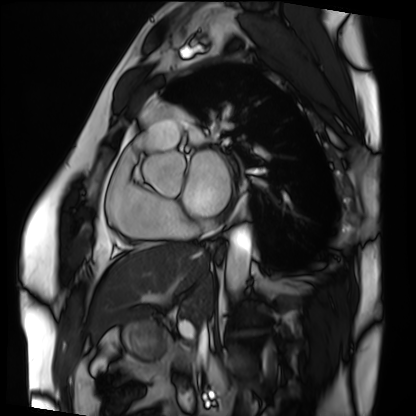
modality = cardiac MRI; subject group = patient.